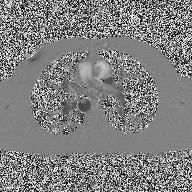
2D phase-contrast cine MRI of the ascending aorta, high-resolution GRAPPA acquisition.